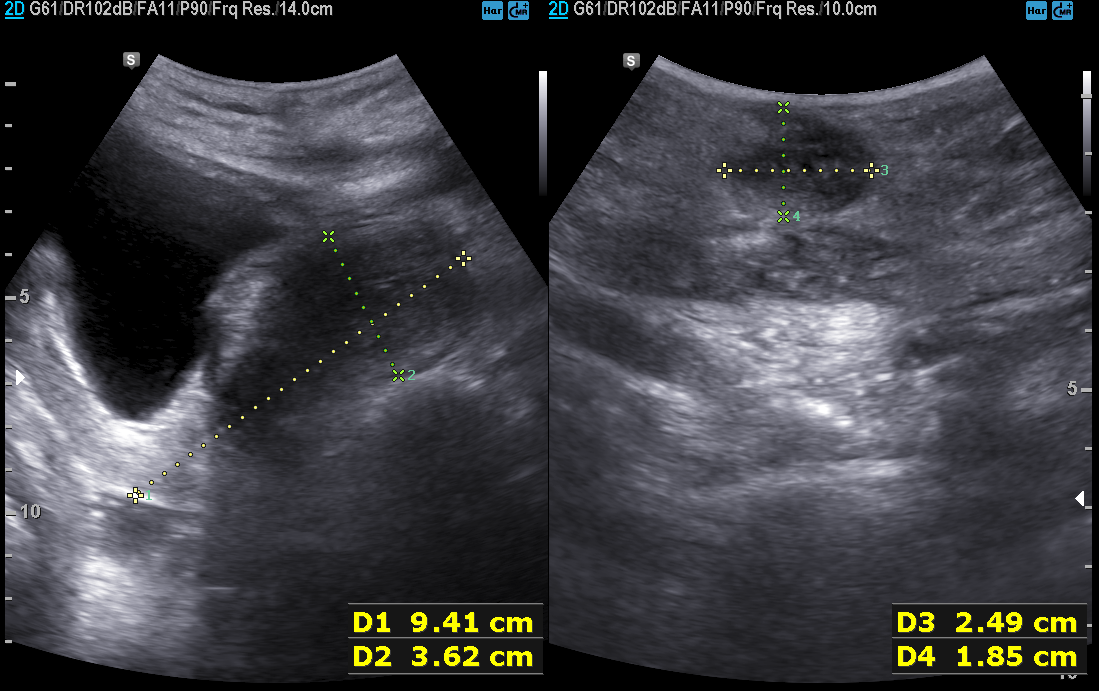
* modality — genitourinary ultrasound